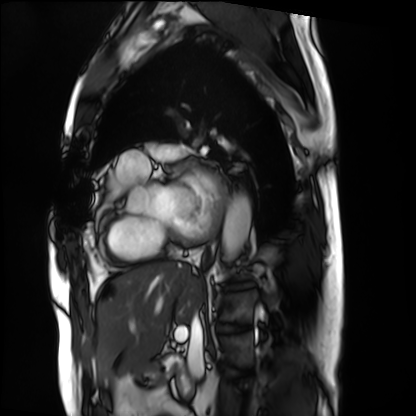
<scan>
  <modality>cardiac MRI</modality>
  <cohort>patient</cohort>
</scan>